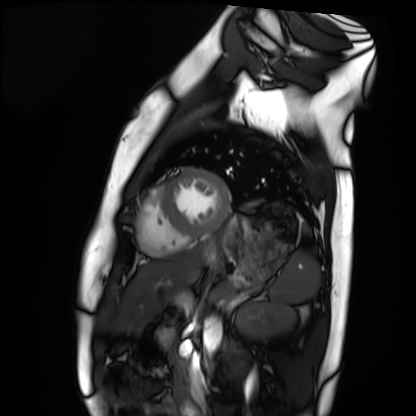
modality: cardiac MRI
subject group: healthy volunteer